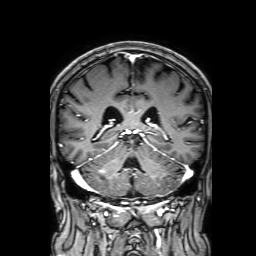
modality: 3 Tesla brain MRI; series: 3D T1-weighted with SENSE; study: ring-enhancing brain masses.